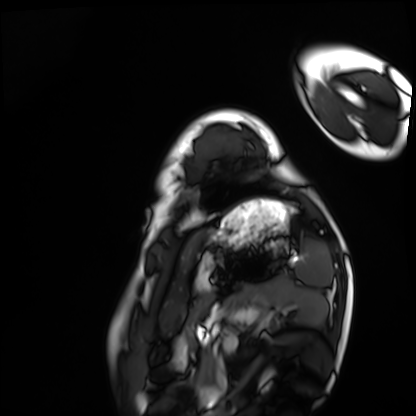
Cardiac MRI. Subject group: healthy volunteer.